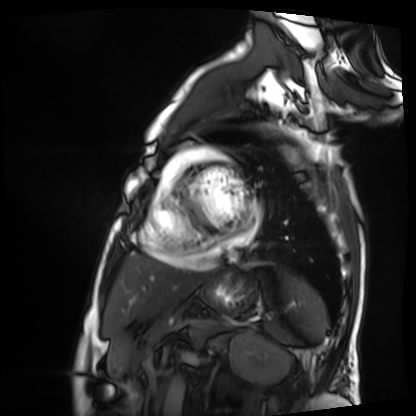
Cardiac MRI. Subject group: patient.